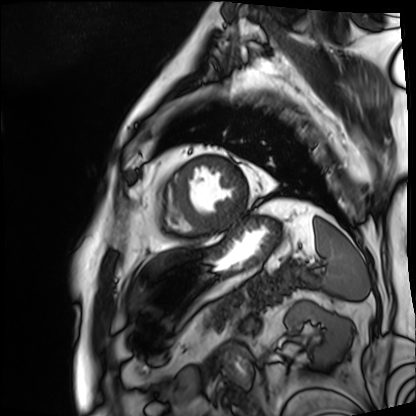
Cardiac MRI. Subject group: patient.